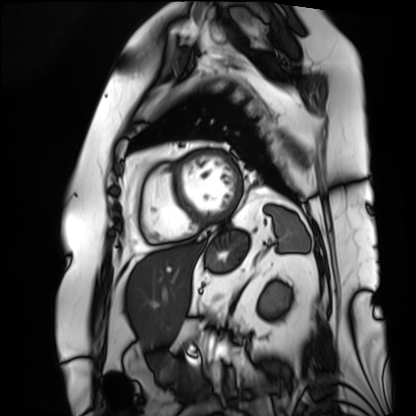
Cardiac MRI. Subject group: patient.